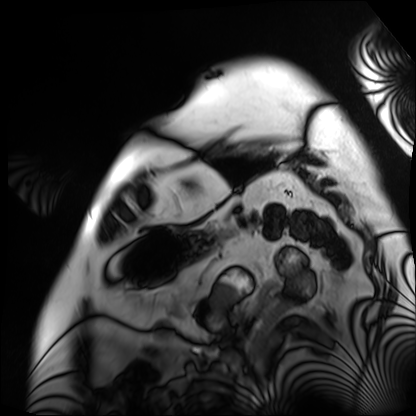
| field | value |
|---|---|
| modality | cardiac MRI |
| subject group | patient |